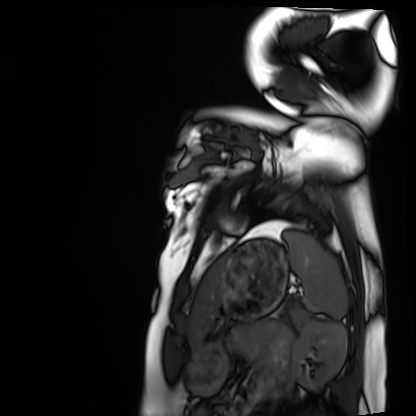
| field | value |
|---|---|
| modality | cardiac MRI |
| subject group | healthy volunteer |